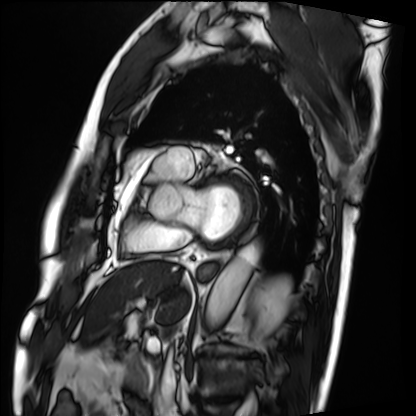
Cardiac MRI. Subject group: patient.